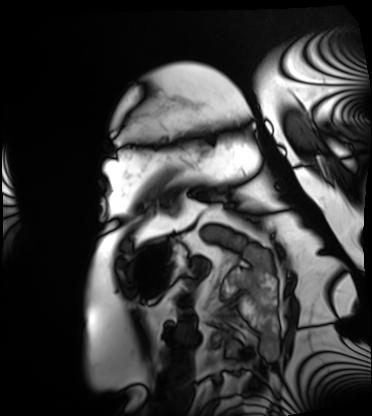
modality=cardiac MRI | subject group=patient.